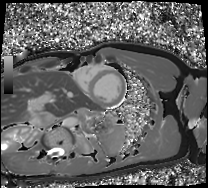
Cardiac MRI. Subject group: healthy volunteer.